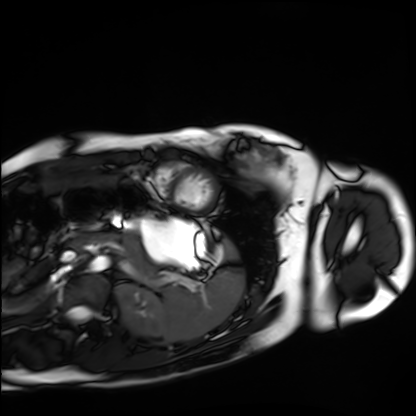
modality: cardiac MRI; subject group: healthy volunteer.